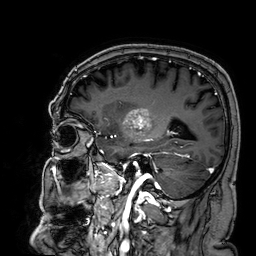
modality = 3 Tesla brain MRI; series = 3D T1-weighted; study = ring-enhancing brain masses.